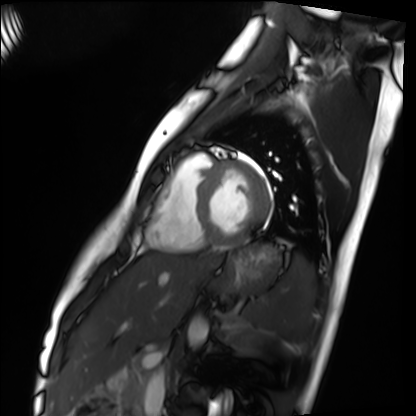
<study>
<modality>cardiac MRI</modality>
<cohort>healthy volunteer</cohort>
</study>